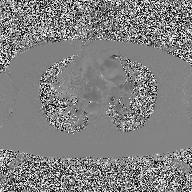
2D phase-contrast cine MRI of the ascending aorta, high-resolution GRAPPA acquisition.